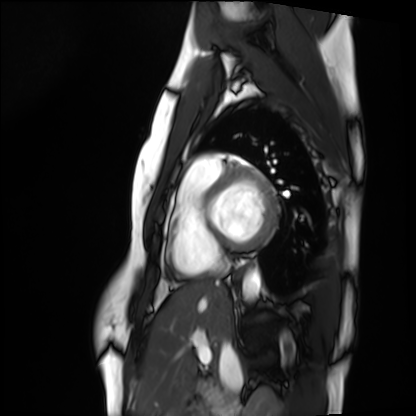
Cardiac MRI. Subject group: healthy volunteer.